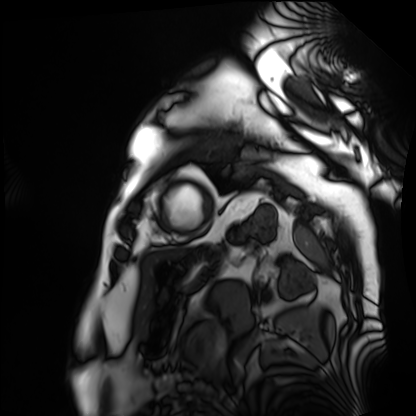
Q: What kind of scan is this?
A: Cardiac MRI.
Subject group: patient.